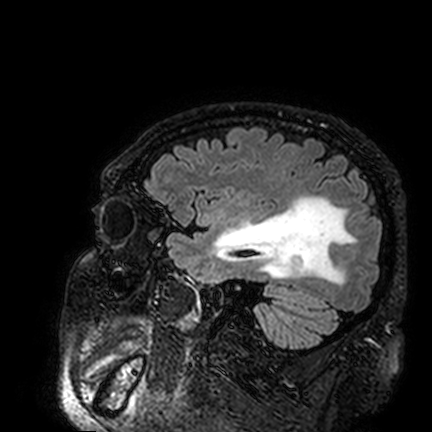
3 Tesla brain MRI.
Series: FLAIR VISTA.
Study: ring-enhancing brain masses.